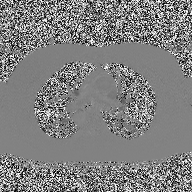
Case summary:
2D phase-contrast cine MRI of the ascending aorta, high-resolution GRAPPA acquisition.